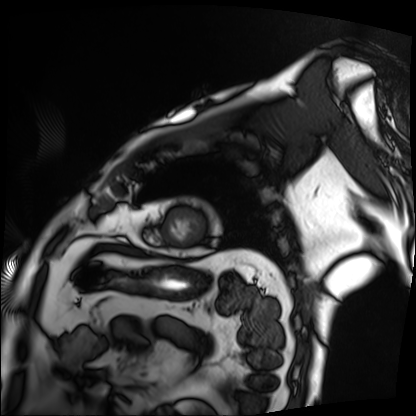
Cardiac MRI. Subject group: patient.